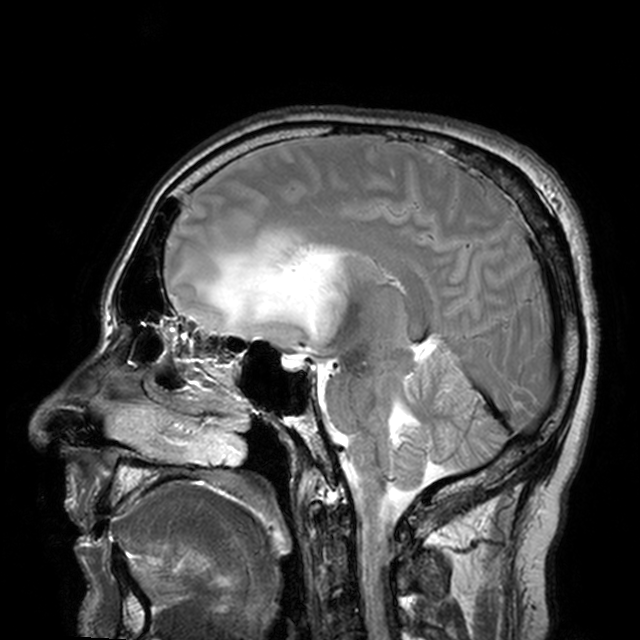
{
  "modality": {
    "type": "brain MRI",
    "field_strength": "3T"
  },
  "series": "T2-weighted turbo spin echo with CLEAR",
  "study_topic": "ring-enhancing brain masses"
}